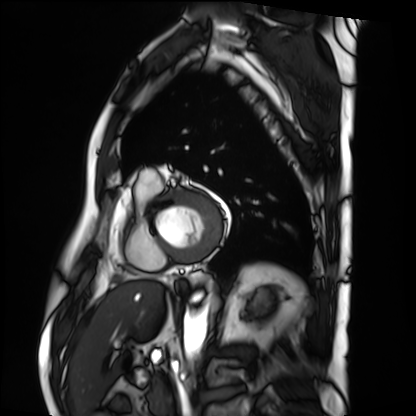
Summary:
Cardiac MRI. Subject group: patient.